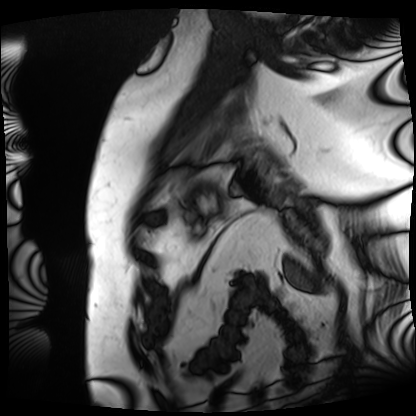
Clinical context: Cardiac MRI. Subject group: patient.